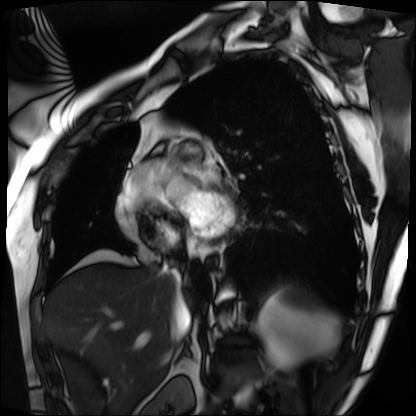
Case summary: Cardiac MRI. Subject group: patient.